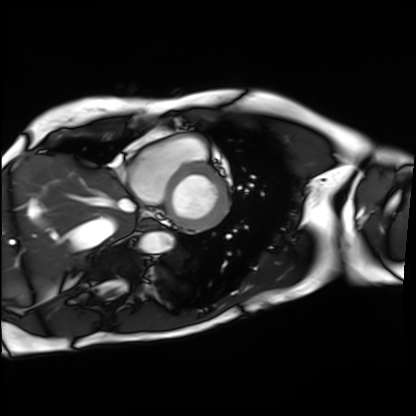
Clinical context: Cardiac MRI. Subject group: patient.